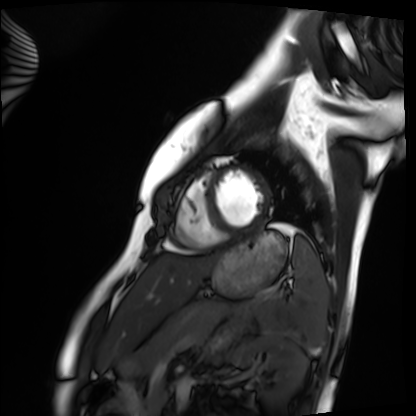
Clinical context: Cardiac MRI. Subject group: healthy volunteer.